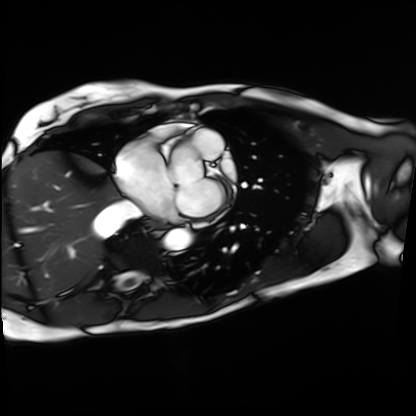
Cardiac MRI. Subject group: patient.